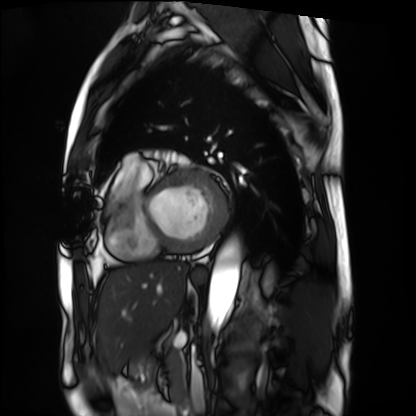
<record>
  <modality>cardiac MRI</modality>
  <cohort>patient</cohort>
</record>